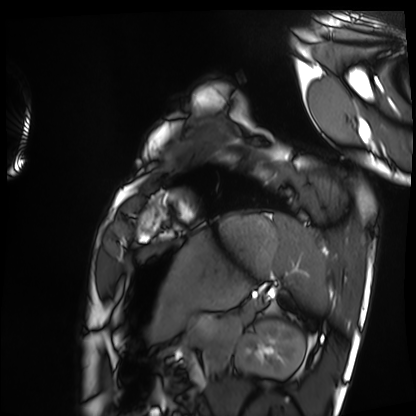
Summary:
Cardiac MRI. Subject group: healthy volunteer.